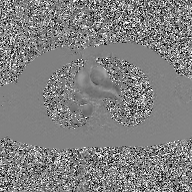
| field | value |
|---|---|
| modality | 2D phase-contrast cine MRI of the ascending aorta, GAN super-resolution reconstruction |